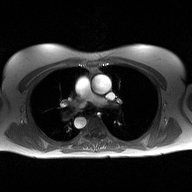
modality = 2D phase-contrast cine MRI of the ascending aorta